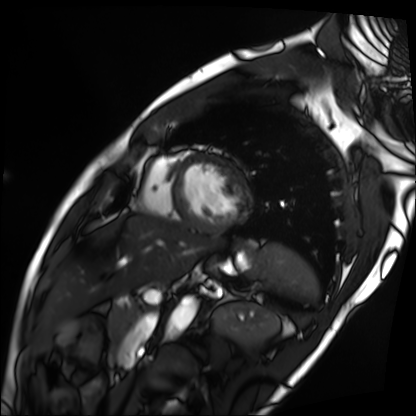
Cardiac MRI. Subject group: patient.